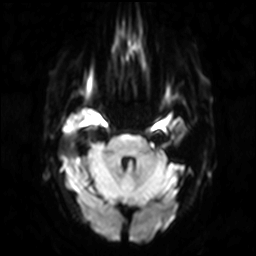
Q: What kind of scan is this?
A: 3 Tesla brain MRI.
Q: Series?
A: Diffusion-weighted imaging.
Study: ring-enhancing brain masses.